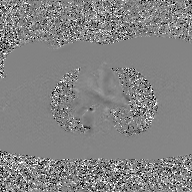
| field | value |
|---|---|
| modality | 2D phase-contrast cine MRI of the ascending aorta, GAN super-resolution reconstruction |